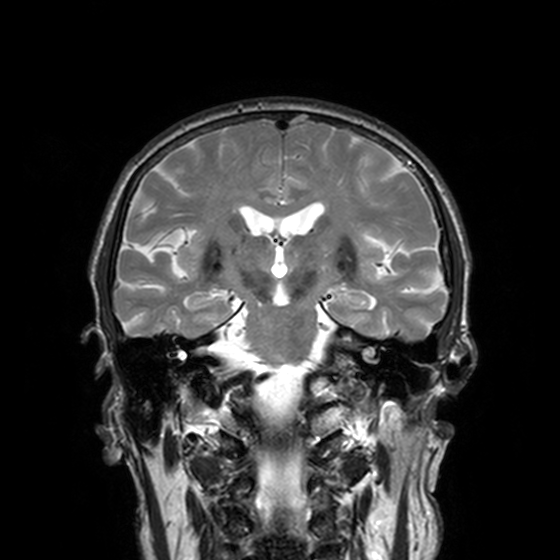
Summary: 3 Tesla brain MRI. Series: T2-weighted turbo spin echo, 3 mm. Study: ring-enhancing brain masses.